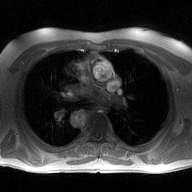
2D phase-contrast cine MRI of the ascending aorta, high-resolution GRAPPA acquisition.